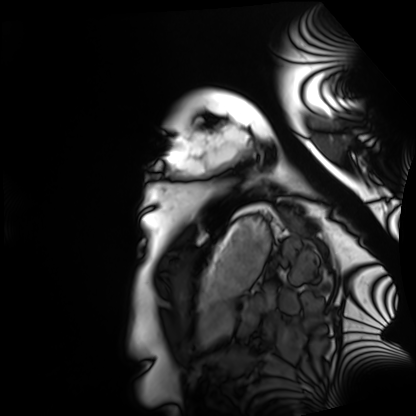
• modality: cardiac MRI
• subject group: healthy volunteer